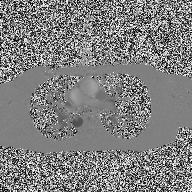
modality: 2D phase-contrast cine MRI of the ascending aorta.